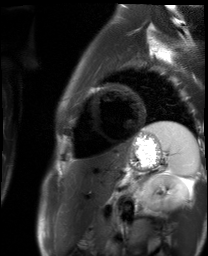
Cardiac MR image of the myocardium.
Subject cohort: healthy volunteer.